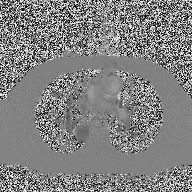
Q: What kind of scan is this?
A: 2D phase-contrast cine MRI of the ascending aorta.